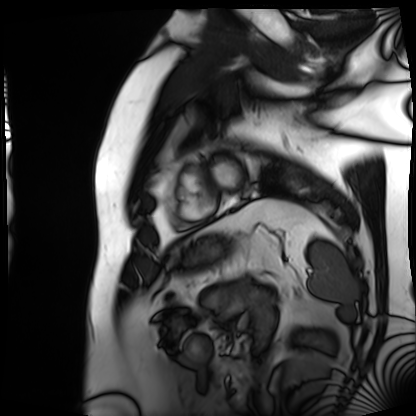
Summary: Cardiac MRI. Subject group: patient.